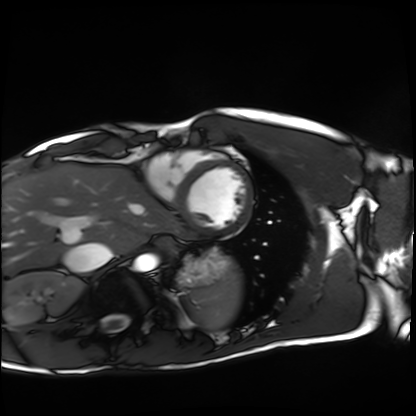
• modality · cardiac MRI
• subject group · healthy volunteer